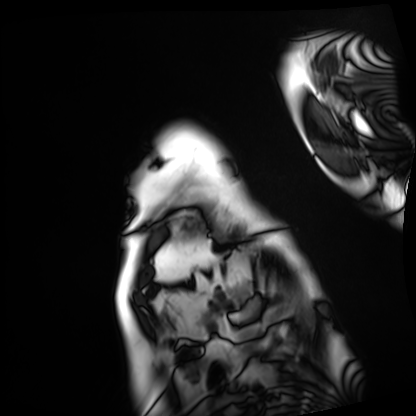
Summary: Cardiac MRI. Subject group: patient.